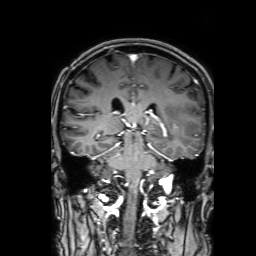
- modality — 3 Tesla brain MRI
- series — 3D T1-weighted with SENSE
- study — ring-enhancing brain masses